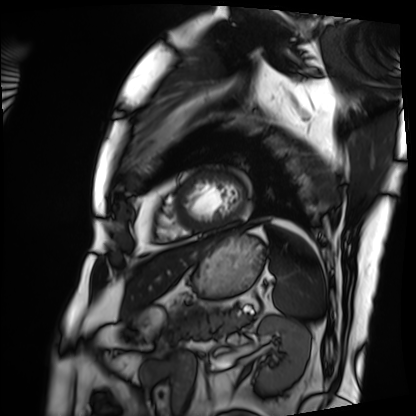
Q: What kind of scan is this?
A: Cardiac MRI.
Subject group: patient.